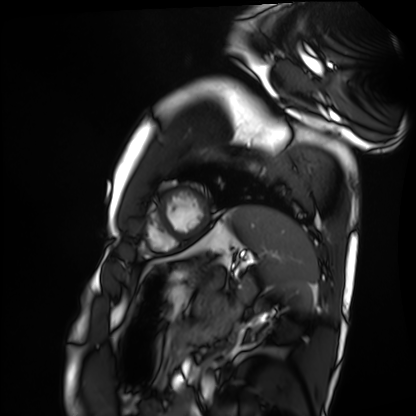
Cardiac MRI. Subject group: healthy volunteer.